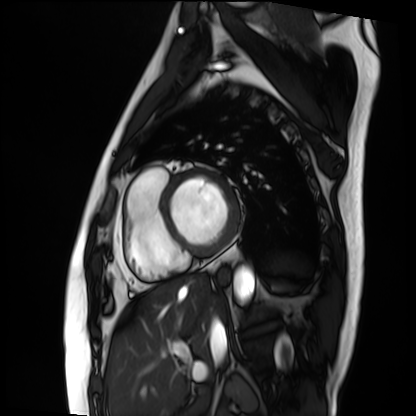
Clinical context:
Cardiac MRI. Subject group: patient.